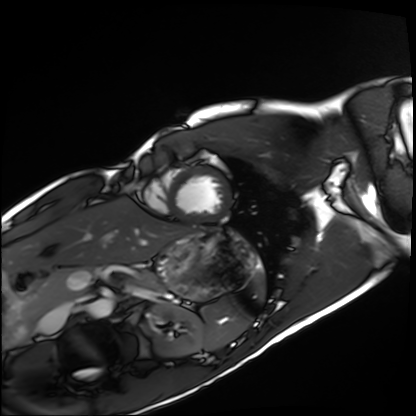
Q: What kind of scan is this?
A: Cardiac MRI.
Subject group: healthy volunteer.